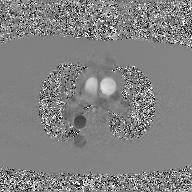
Summary:
2D phase-contrast cine MRI of the ascending aorta, GAN super-resolution reconstruction.